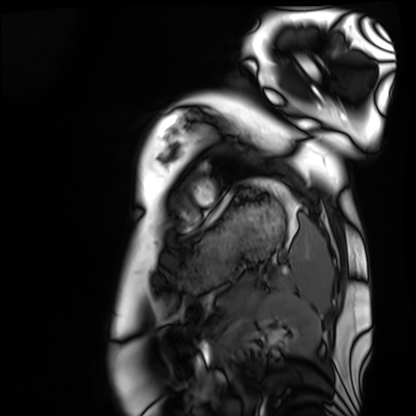
Cardiac MRI. Subject group: healthy volunteer.